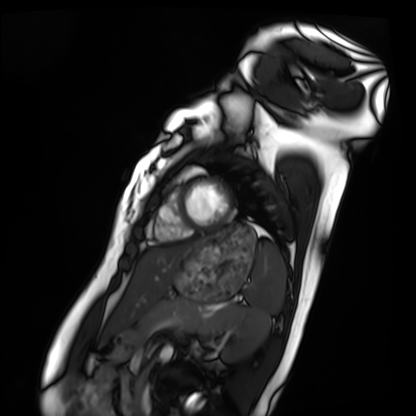
Cardiac MRI. Subject group: healthy volunteer.